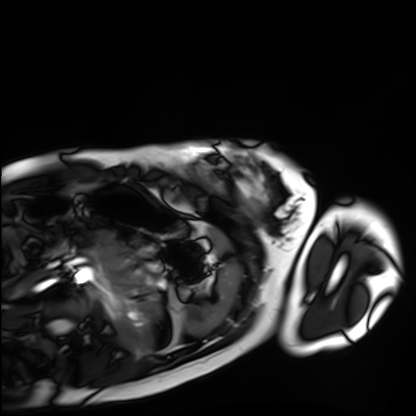
modality: cardiac MRI, subject group: healthy volunteer.